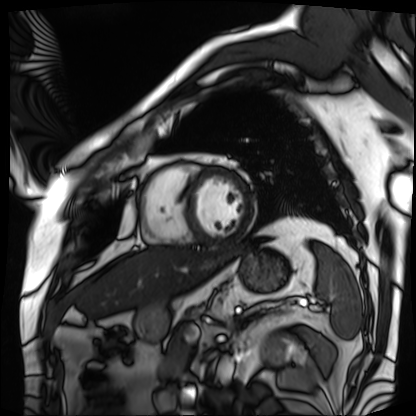
Cardiac MRI.
Subject group: patient.